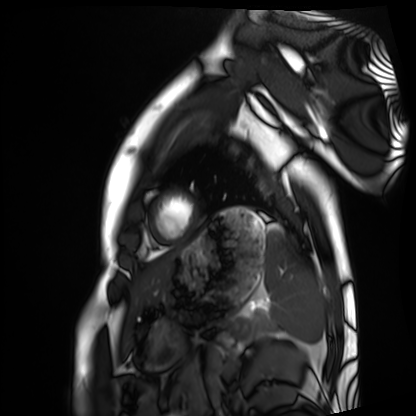
Clinical context: Cardiac MRI. Subject group: healthy volunteer.